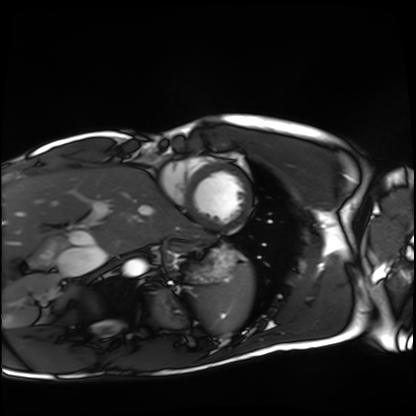
<record>
<modality>cardiac MRI</modality>
<cohort>healthy volunteer</cohort>
</record>